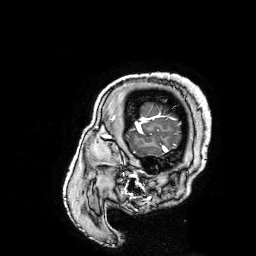
3 Tesla brain MRI.
Series: 3D T1-weighted turbo field echo with SENSE.
Study: ring-enhancing brain masses.